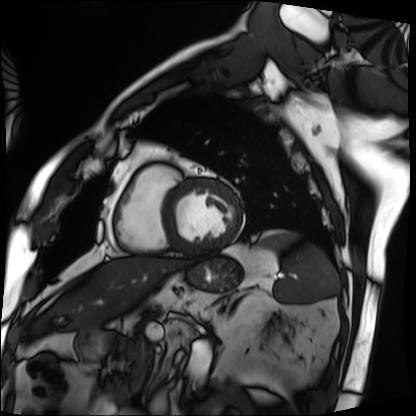
Cardiac MRI.
Subject group: patient.